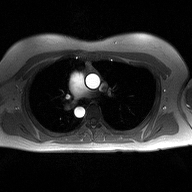
2D phase-contrast cine MRI of the ascending aorta, high-resolution GRAPPA acquisition.